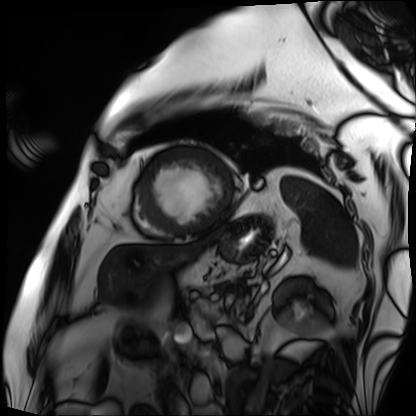
modality: cardiac MRI, subject group: patient.